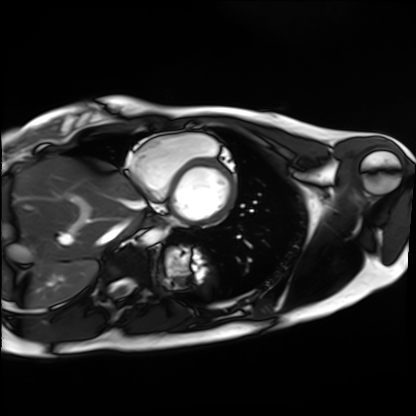
{
  "modality": "cardiac MRI",
  "cohort": "healthy volunteer"
}